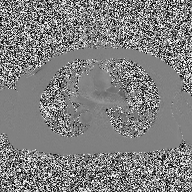
modality = 2D phase-contrast cine MRI of the ascending aorta